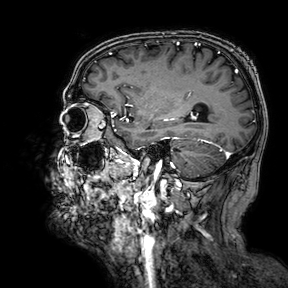
modality: 3 Tesla brain MRI
series: 3D T1-weighted turbo field echo with SENSE
study: ring-enhancing brain masses